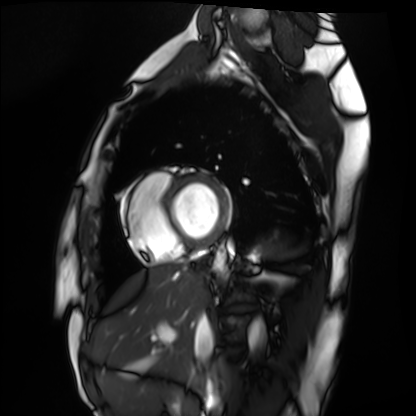
modality — cardiac MRI
subject group — healthy volunteer